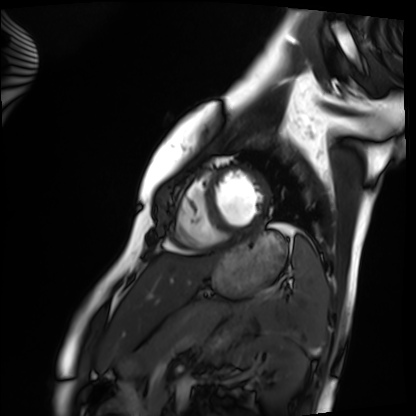
{
  "modality": "cardiac MRI",
  "cohort": "healthy volunteer"
}